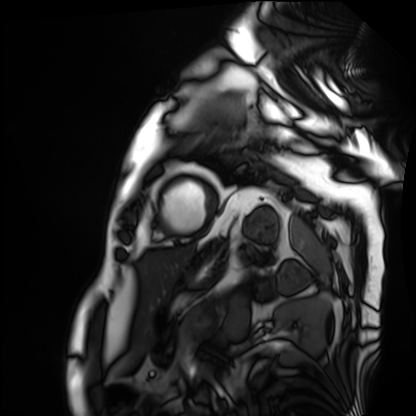
Q: What kind of scan is this?
A: Cardiac MRI.
Subject group: patient.